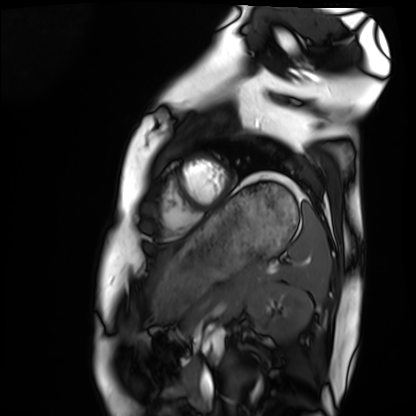
Summary:
Cardiac MRI. Subject group: healthy volunteer.